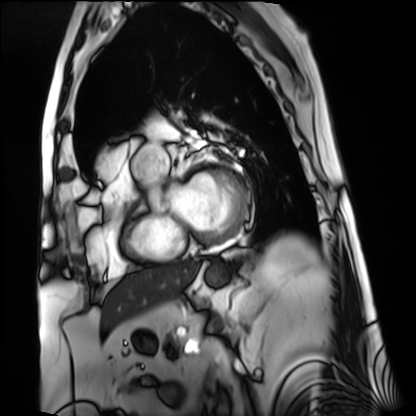
Cardiac MRI.
Subject group: patient.